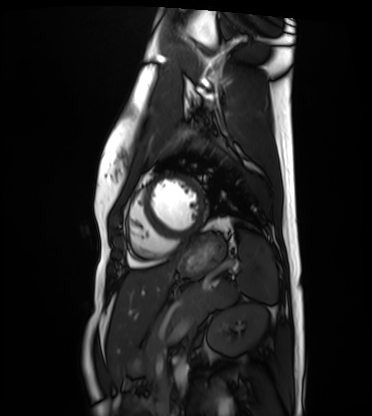
Cardiac MRI. Subject group: healthy volunteer.